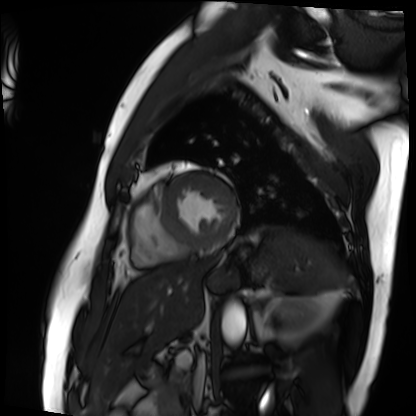
modality: cardiac MRI; subject group: patient.